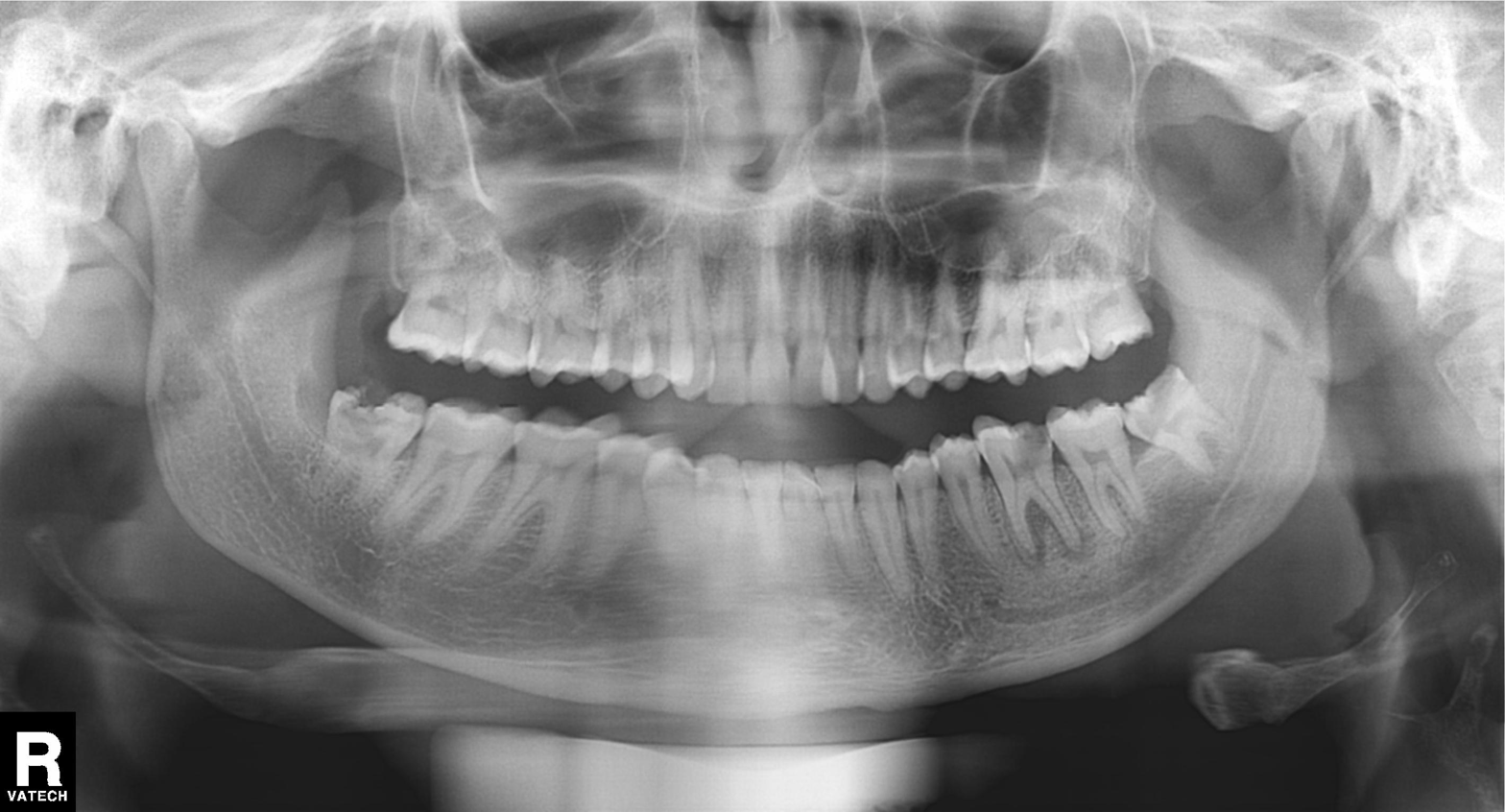
Summary: Panoramic dental radiograph (orthopantomogram).
Diagnosis: Tooth impaction.